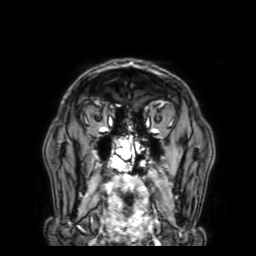
Summary:
3 Tesla brain MRI. Study: ring-enhancing brain masses.